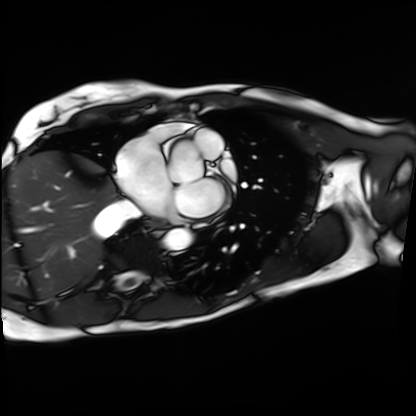
• modality — cardiac MRI
• subject group — patient